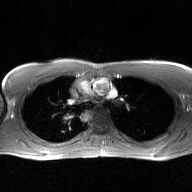
2D phase-contrast cine MRI of the ascending aorta, GAN super-resolution reconstruction.